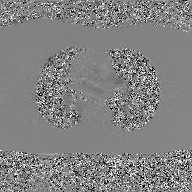
Q: What kind of scan is this?
A: 2D phase-contrast cine MRI of the ascending aorta, GAN super-resolution reconstruction.